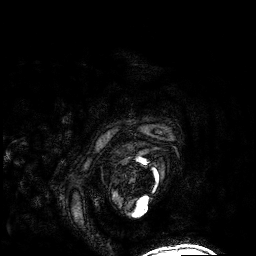
Clinical context: 3 Tesla brain MRI. Study: ring-enhancing brain masses.